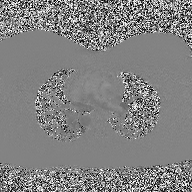
  modality:
    type: 2D phase-contrast cine MRI
    region: ascending aorta
    reconstruction: high-resolution GRAPPA acquisition